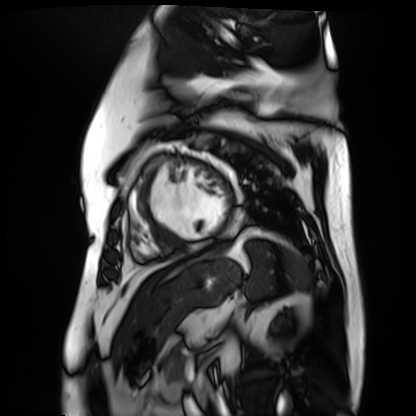
| field | value |
|---|---|
| modality | cardiac MR image of the myocardium |
| subject cohort | cardiac patient |